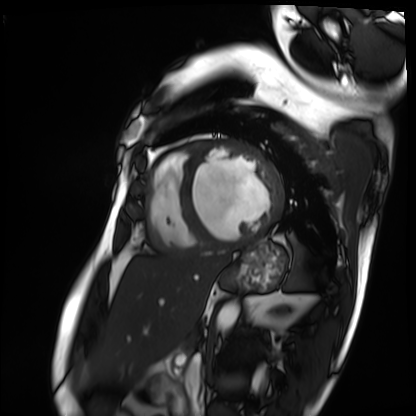
Case:
– modality: cardiac MRI
– subject group: patient